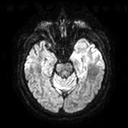
3 Tesla brain MRI.
Series: diffusion tensor imaging (medium iso).
Study: ring-enhancing brain masses.